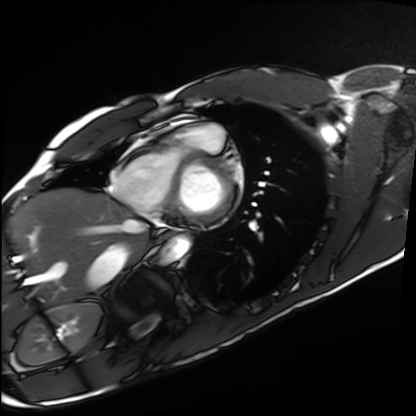
Q: What kind of scan is this?
A: Cardiac MRI.
Subject group: healthy volunteer.